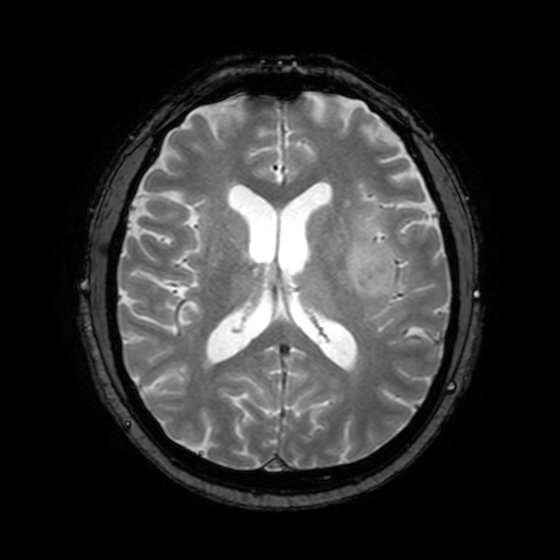
Q: What kind of scan is this?
A: 3 Tesla brain MRI.
Q: Series?
A: T2-weighted fast field echo with SENSE.
Study: ring-enhancing brain masses.